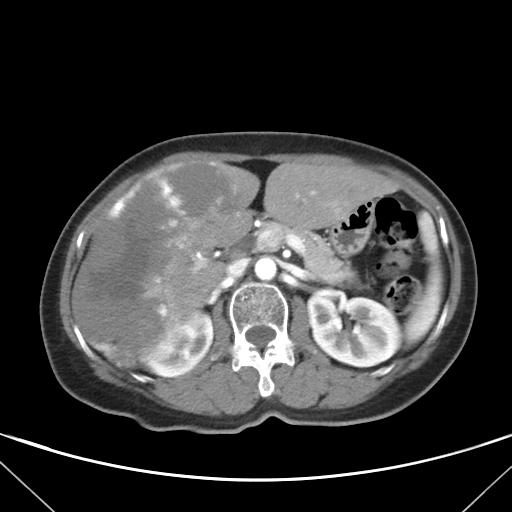
{
  "modality": {
    "type": "multiphase abdominal CT",
    "region": "liver",
    "phase": "arterial"
  },
  "patient": {
    "sex": "female",
    "age": 58
  }
}